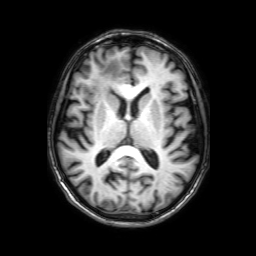
Summary:
3 Tesla brain MRI. Series: 3D T1-weighted with SENSE. Study: ring-enhancing brain masses.